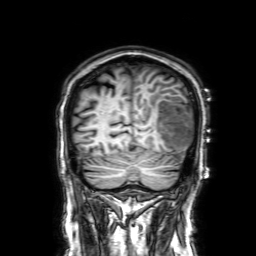
<scan>
  <modality>
    <type>brain MRI</type>
    <field_strength>3T</field_strength>
  </modality>
  <series>3D T1-weighted with SENSE</series>
  <study_topic>ring-enhancing brain masses</study_topic>
</scan>